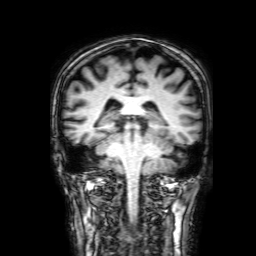
{"modality": {"type": "brain MRI", "field_strength": "3T"}, "study_topic": "ring-enhancing brain masses"}